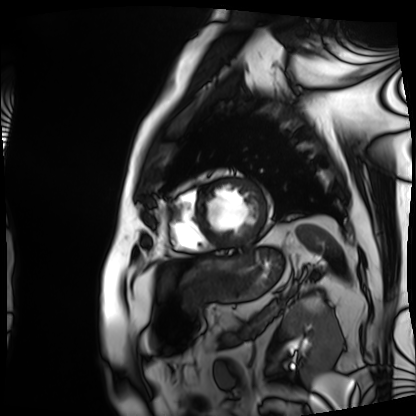
Case summary:
Cardiac MRI. Subject group: patient.